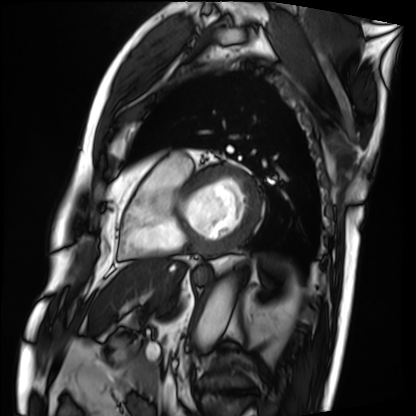
Cardiac MRI.
Subject group: patient.